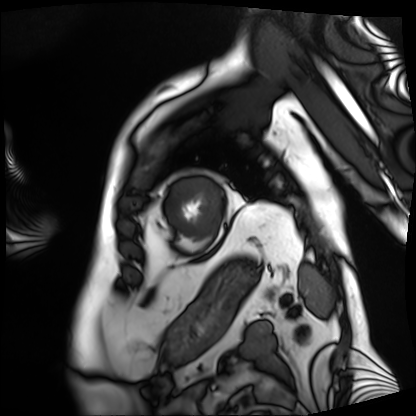
modality: cardiac MRI, subject group: patient.